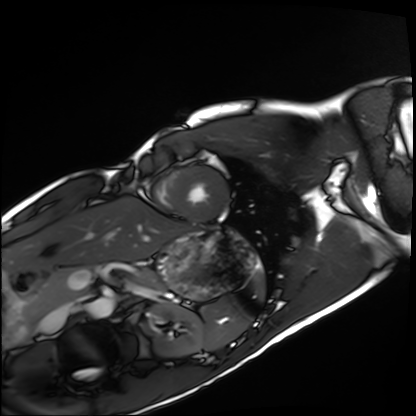
Cardiac MRI.
Subject group: healthy volunteer.